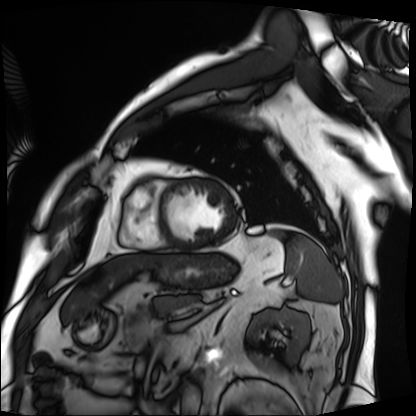
| field | value |
|---|---|
| modality | cardiac MRI |
| subject group | patient |